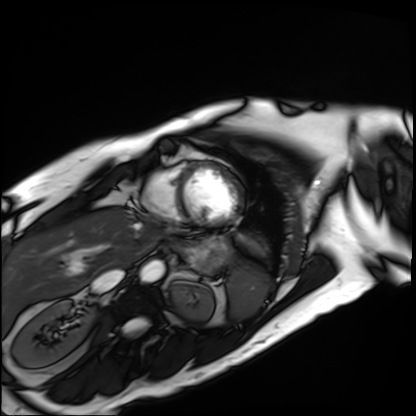
<scan>
  <modality>cardiac MRI</modality>
  <cohort>patient</cohort>
</scan>